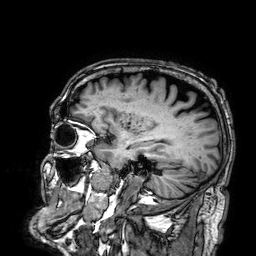
Case summary: 3 Tesla brain MRI. Series: 3D T1-weighted. Study: ring-enhancing brain masses.